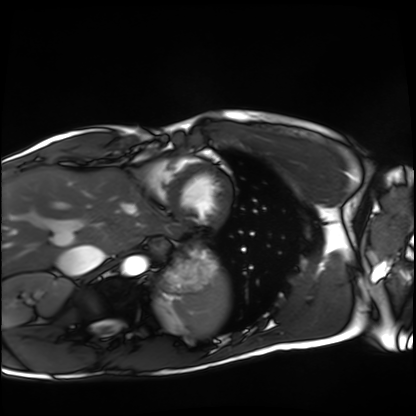
modality: cardiac MRI; subject group: healthy volunteer.